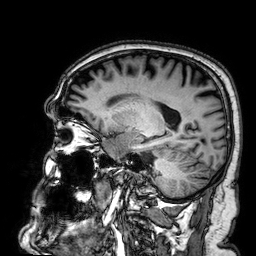
modality — 3 Tesla brain MRI
series — 3D T1-weighted
study — ring-enhancing brain masses